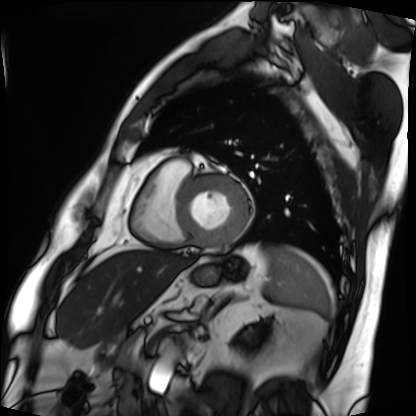
| field | value |
|---|---|
| modality | cardiac MRI |
| subject group | patient |